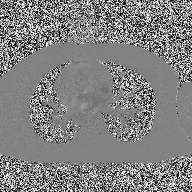
2D phase-contrast cine MRI of the ascending aorta, high-resolution GRAPPA acquisition.